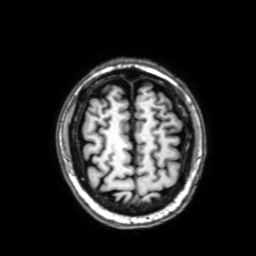
3 Tesla brain MRI. Series: 3D T1-weighted with SENSE. Study: ring-enhancing brain masses.